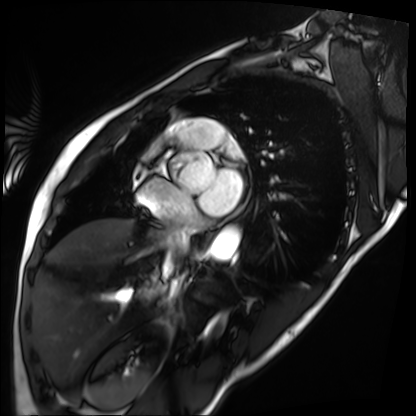
Case summary:
Cardiac MRI. Subject group: patient.